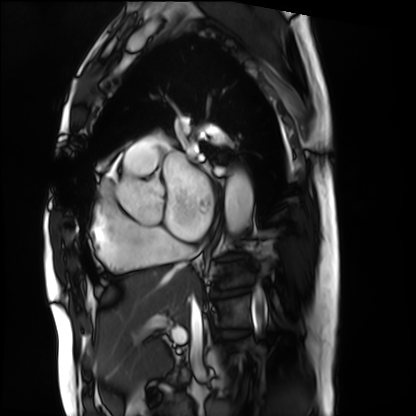
| field | value |
|---|---|
| modality | cardiac MRI |
| subject group | patient |